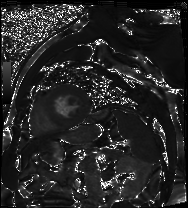
{"modality": "cardiac MR image of the myocardium", "cohort": "cardiac patient"}